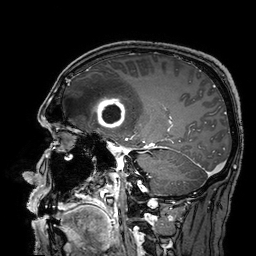
modality — 3 Tesla brain MRI | series — 3D T1-weighted turbo field echo with SENSE | study — ring-enhancing brain masses.